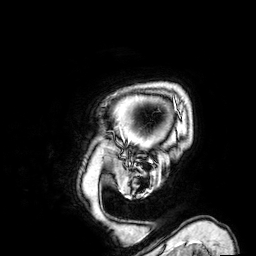
3 Tesla brain MRI.
Series: 3D T1-weighted.
Study: ring-enhancing brain masses.